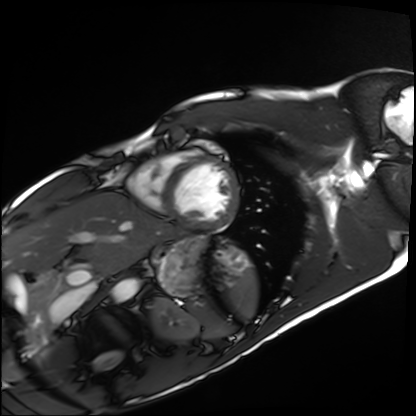
modality: cardiac MRI | subject group: healthy volunteer.